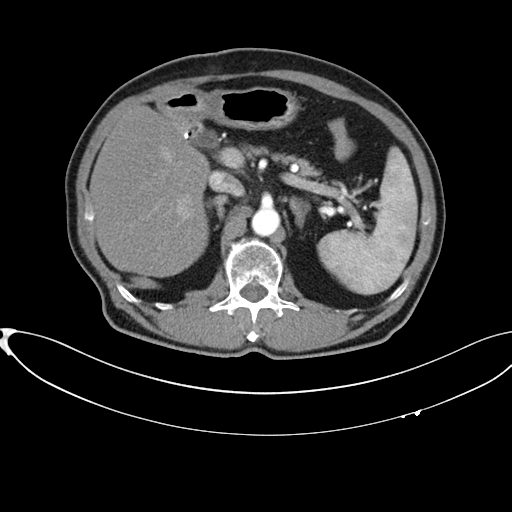
Q: What kind of scan is this?
A: Multiphase abdominal CT, liver, arterial phase.
Q: Patient?
A: Male, age 75.
Q: History?
A: Cirrhosis, viral hepatitis.